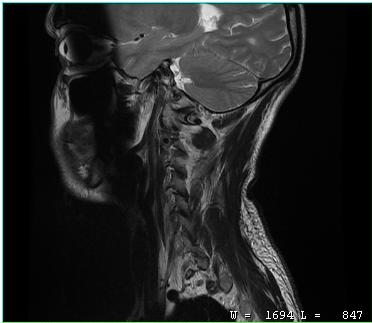
Case summary: MRI of the cervical spine. Study: cervical spondylosis.